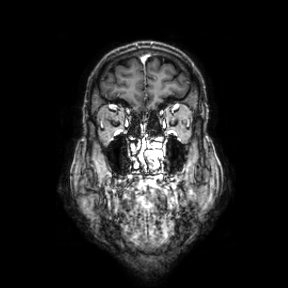
Q: What kind of scan is this?
A: 3 Tesla brain MRI.
Q: Series?
A: Coronal.
Study: ring-enhancing brain masses.